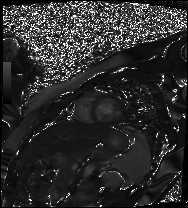
Clinical context:
Cardiac MR image of the myocardium. Subject cohort: healthy volunteer.